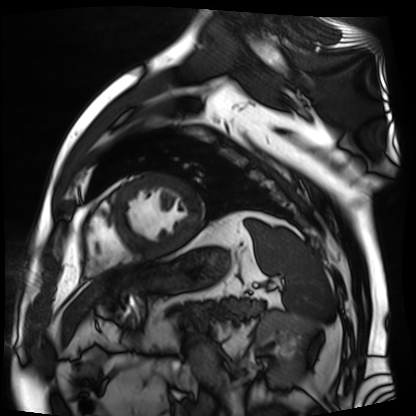
Clinical context: Cardiac MR image of the myocardium. Subject cohort: cardiac patient.